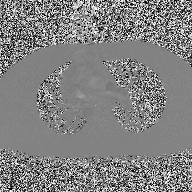
Q: What kind of scan is this?
A: 2D phase-contrast cine MRI of the ascending aorta.